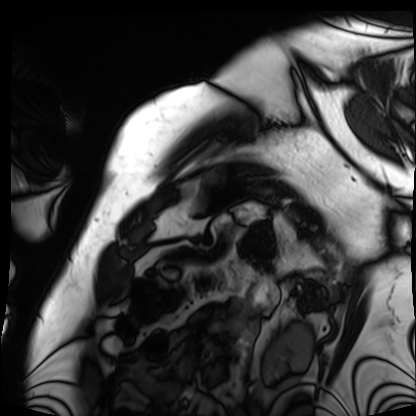
Cardiac MRI. Subject group: patient.